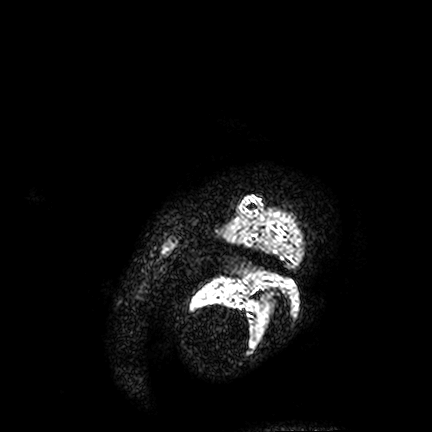
3 Tesla brain MRI. Series: FLAIR VISTA. Study: ring-enhancing brain masses.